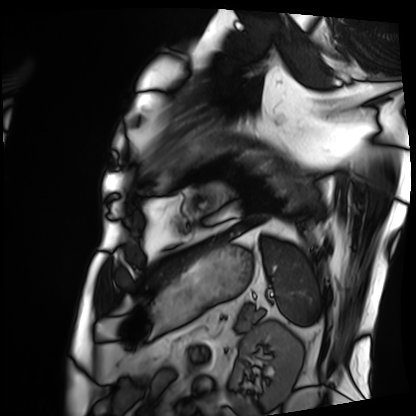
<study>
  <modality>cardiac MRI</modality>
  <cohort>patient</cohort>
</study>